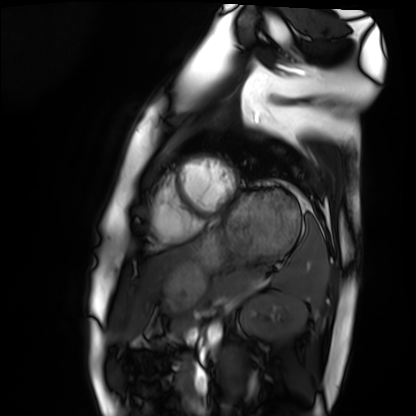
{"modality": "cardiac MRI", "cohort": "healthy volunteer"}